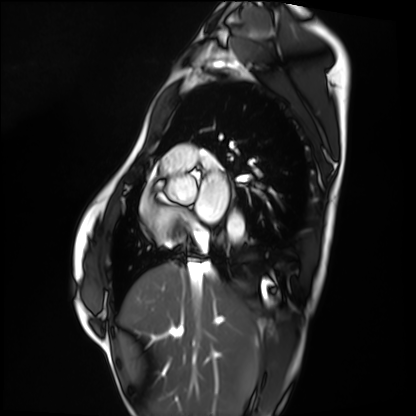
Cardiac MRI.
Subject group: healthy volunteer.